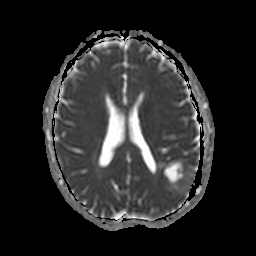
| field | value |
|---|---|
| modality | 3 Tesla brain MRI |
| series | apparent diffusion coefficient (ADC) map |
| study | ring-enhancing brain masses |